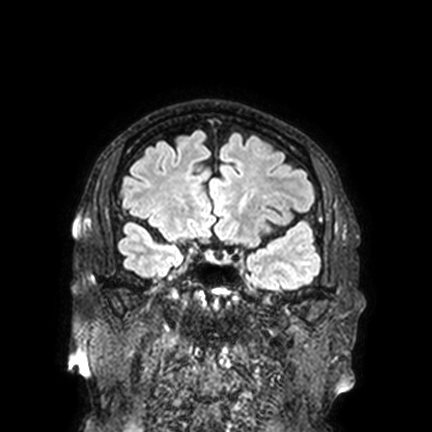
  modality:
    type: brain MRI
    field_strength: 3T
  series: FLAIR VISTA with SENSE
  study_topic: ring-enhancing brain masses